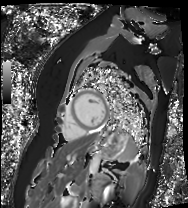
Summary:
Cardiac MR image of the myocardium. Subject cohort: healthy volunteer.